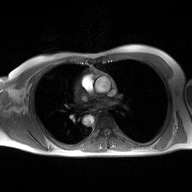
2D phase-contrast cine MRI of the ascending aorta, high-resolution GRAPPA acquisition.